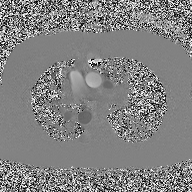
- modality: 2D phase-contrast cine MRI of the ascending aorta